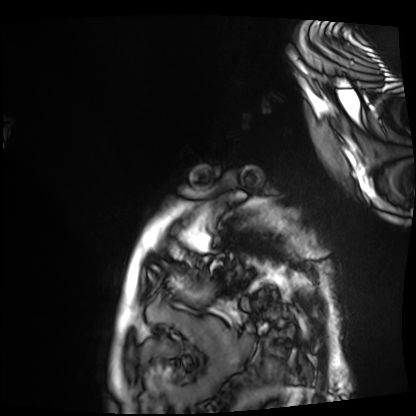
modality: cardiac MRI; subject group: patient.